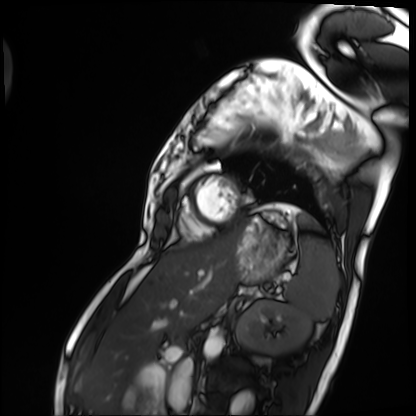
{
  "modality": "cardiac MRI",
  "cohort": "patient"
}